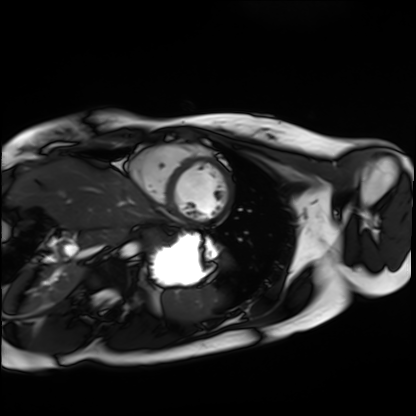
<record>
<modality>cardiac MRI</modality>
<cohort>healthy volunteer</cohort>
</record>